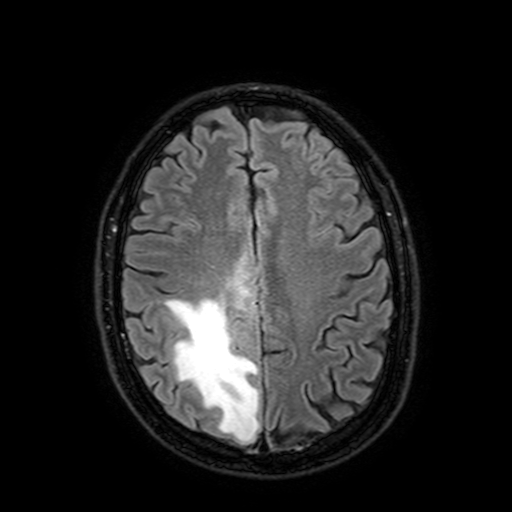
Clinical context: 3 Tesla brain MRI. Series: FLAIR with SPAIR, 3 mm. Study: ring-enhancing brain masses.